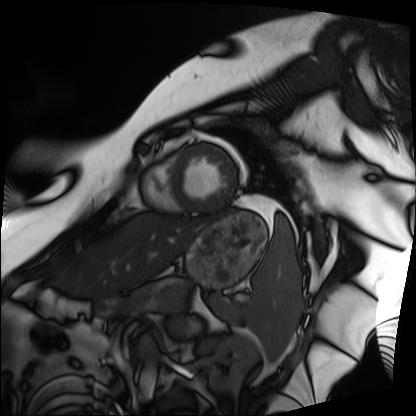
modality — cardiac MRI | subject group — patient.